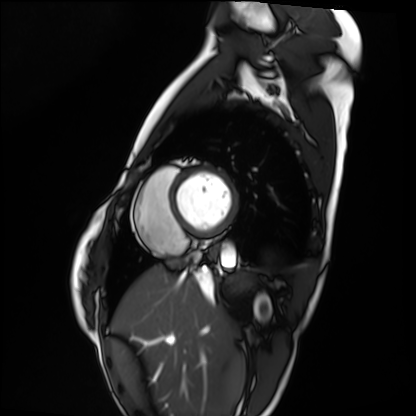
Q: What kind of scan is this?
A: Cardiac MRI.
Subject group: healthy volunteer.